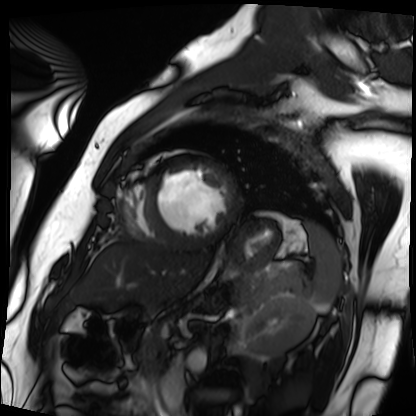
modality: cardiac MRI; subject group: patient.